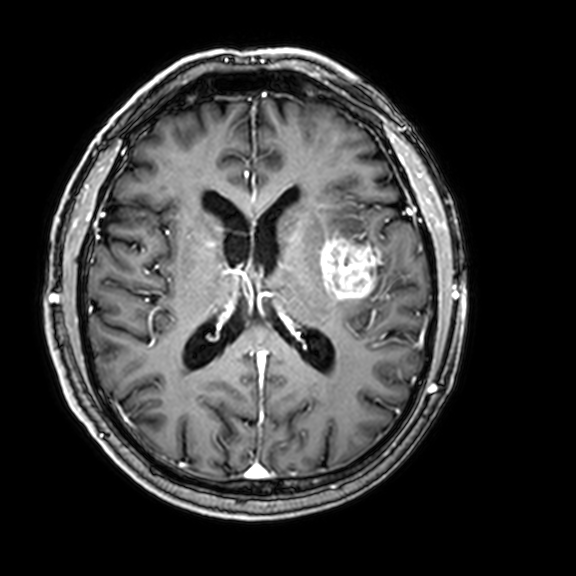
{
  "modality": {
    "type": "brain MRI",
    "field_strength": "3T"
  },
  "series": "3D T1-weighted with CLEAR",
  "study_topic": "ring-enhancing brain masses"
}